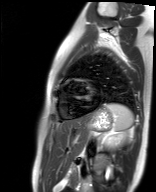
Cardiac MR image of the myocardium. Subject cohort: healthy volunteer.